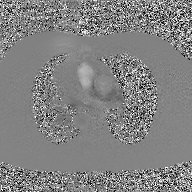
{"modality": {"type": "2D phase-contrast cine MRI", "region": "ascending aorta", "reconstruction": "GAN super-resolution reconstruction"}}